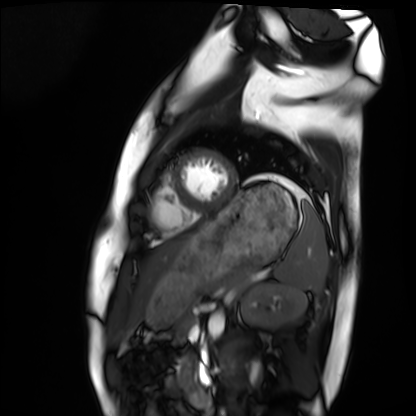
<scan>
<modality>cardiac MRI</modality>
<cohort>healthy volunteer</cohort>
</scan>